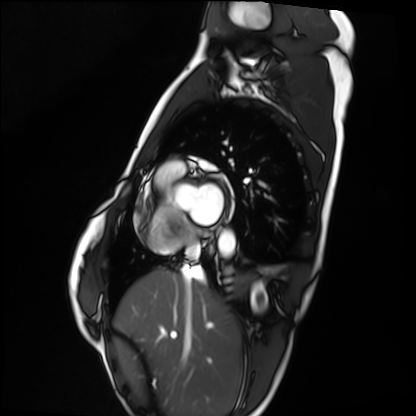
Cardiac MRI. Subject group: healthy volunteer.